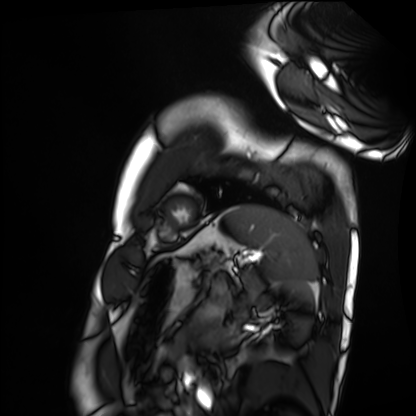
Summary: Cardiac MRI. Subject group: healthy volunteer.